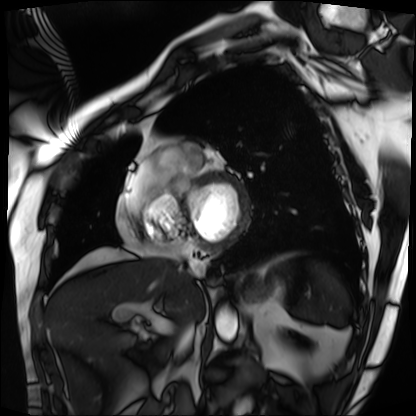
Summary:
Cardiac MRI. Subject group: patient.